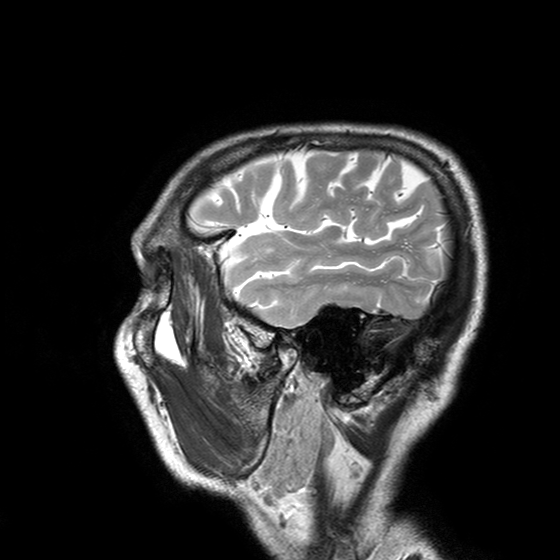
{"modality": {"type": "brain MRI", "field_strength": "3T"}, "series": "T2-weighted turbo spin echo with SENSE", "study_topic": "ring-enhancing brain masses"}